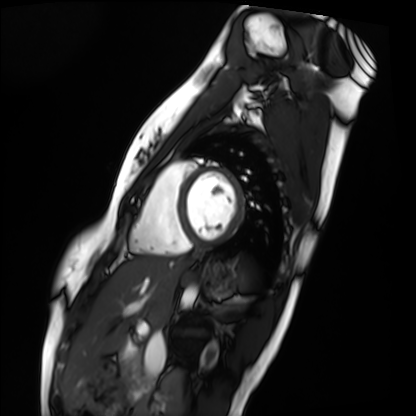
modality: cardiac MRI, subject group: healthy volunteer.